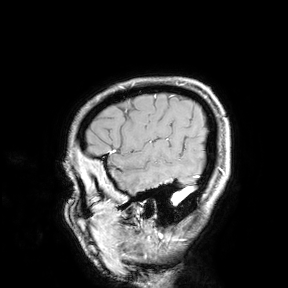
  modality:
    type: brain MRI
    field_strength: 3T
  study_topic: ring-enhancing brain masses